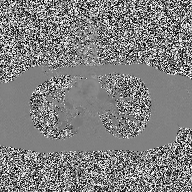
Clinical context: 2D phase-contrast cine MRI of the ascending aorta, high-resolution GRAPPA acquisition.